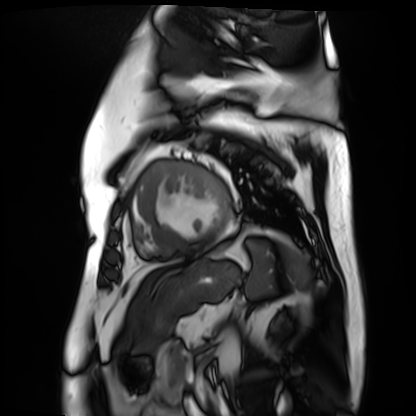
{"modality": "cardiac MR image of the myocardium", "cohort": "cardiac patient"}